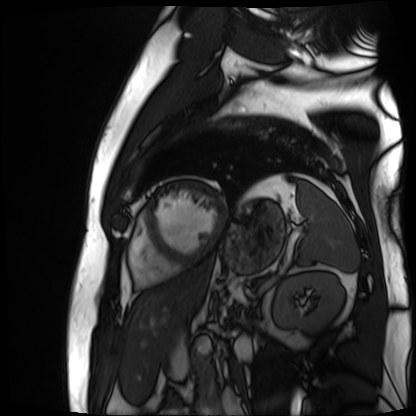
{"modality": "cardiac MR image of the myocardium", "cohort": "cardiac patient"}